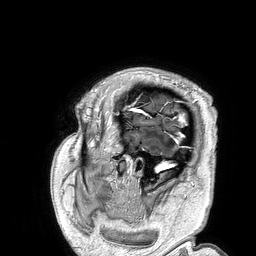
3 Tesla brain MRI. Series: 3D T1-weighted turbo field echo. Study: ring-enhancing brain masses.